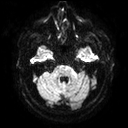
3 Tesla brain MRI.
Series: diffusion tensor imaging (medium iso).
Study: ring-enhancing brain masses.